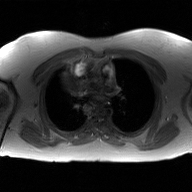
2D phase-contrast cine MRI of the ascending aorta, GAN super-resolution reconstruction.